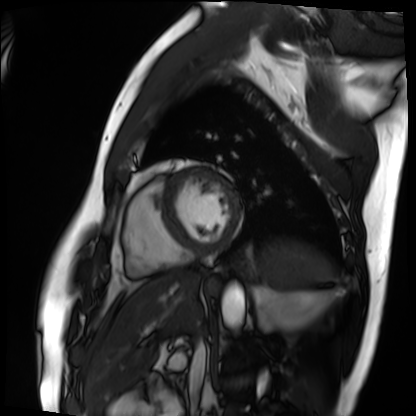
Cardiac MRI. Subject group: patient.